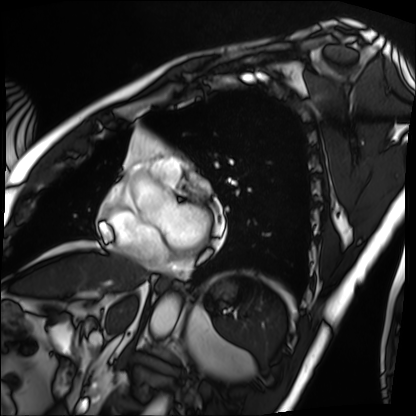
| field | value |
|---|---|
| modality | cardiac MRI |
| subject group | patient |